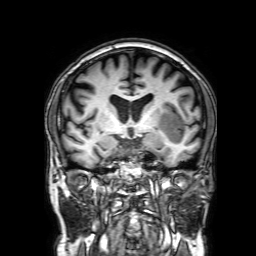
3 Tesla brain MRI.
Series: 3D T1-weighted with SENSE.
Study: ring-enhancing brain masses.